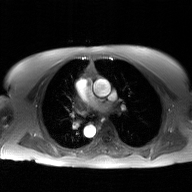
2D phase-contrast cine MRI of the ascending aorta, GAN super-resolution reconstruction.